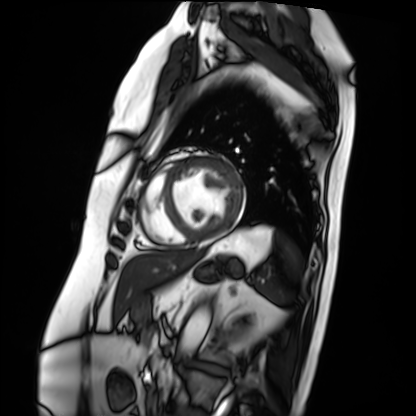
Summary:
Cardiac MRI. Subject group: patient.